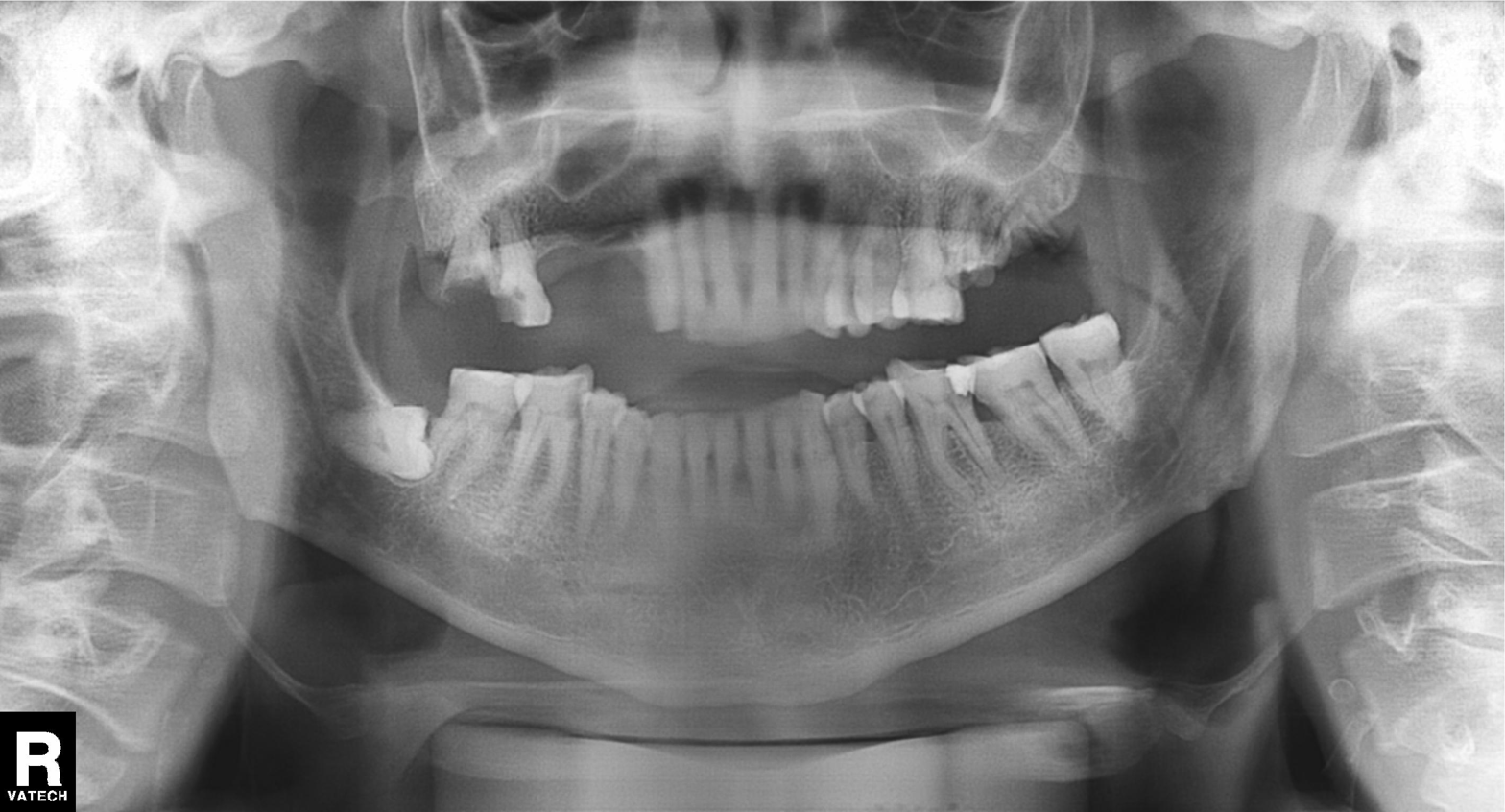
Q: What kind of scan is this?
A: Panoramic dental radiograph (orthopantomogram).
Q: What is the radiographic finding?
A: Dental caries (cavities).